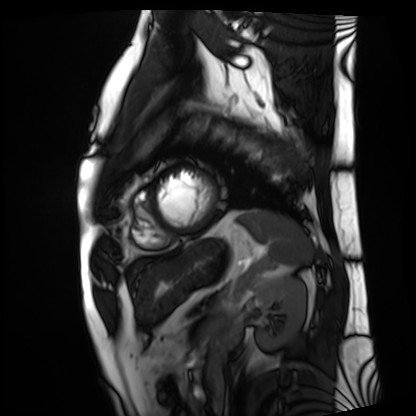
Clinical context: Cardiac MRI. Subject group: patient.